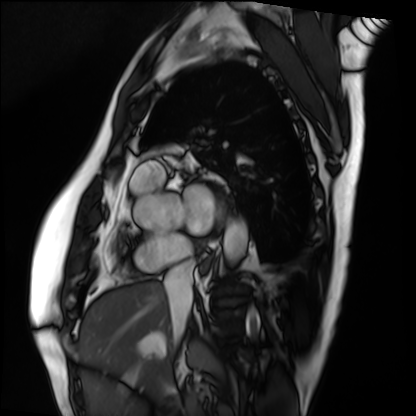
Cardiac MRI. Subject group: patient.